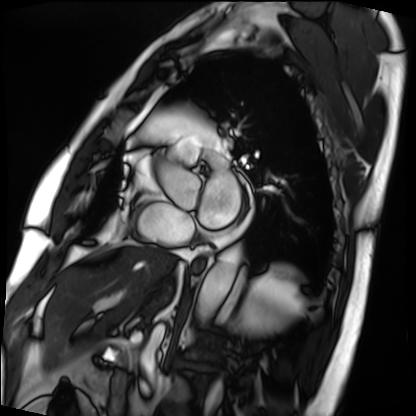
{"modality": "cardiac MRI", "cohort": "patient"}